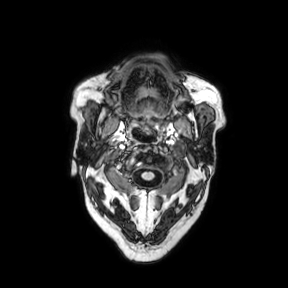
3 Tesla brain MRI.
Series: axial.
Study: ring-enhancing brain masses.